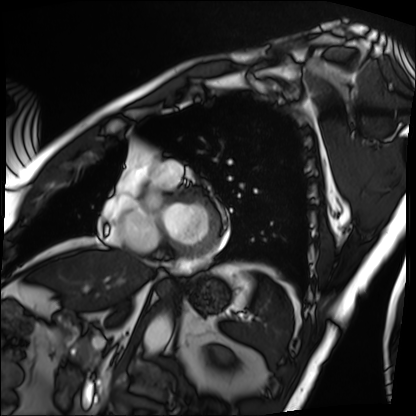
Clinical context: Cardiac MRI. Subject group: patient.